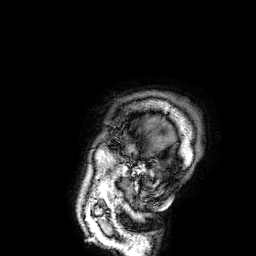
Case:
- modality · 3 Tesla brain MRI
- series · 3D T1-weighted
- study · ring-enhancing brain masses